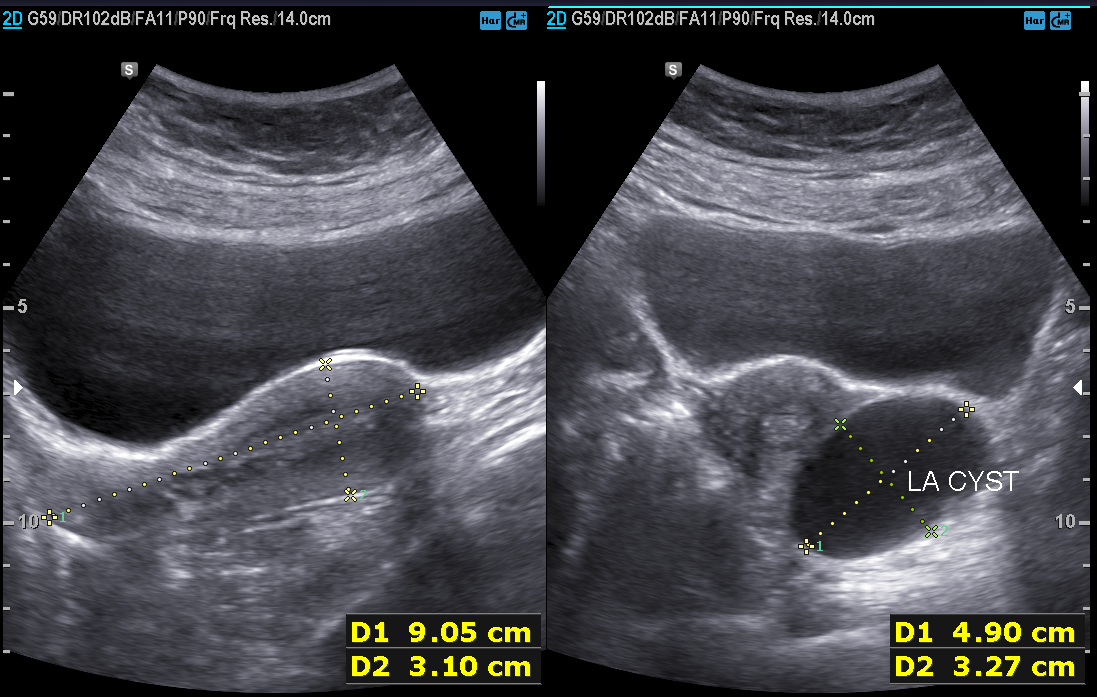
Summary: Genitourinary ultrasound.